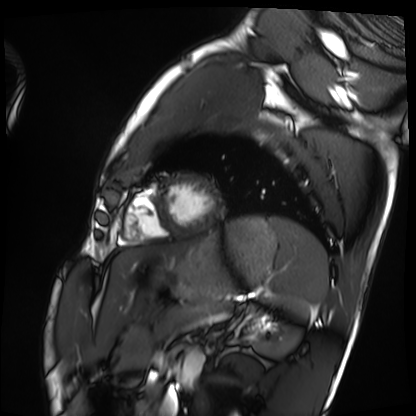
Case summary: Cardiac MRI. Subject group: healthy volunteer.